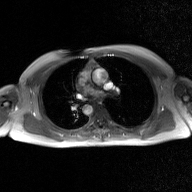
2D phase-contrast cine MRI of the ascending aorta, GAN super-resolution reconstruction.